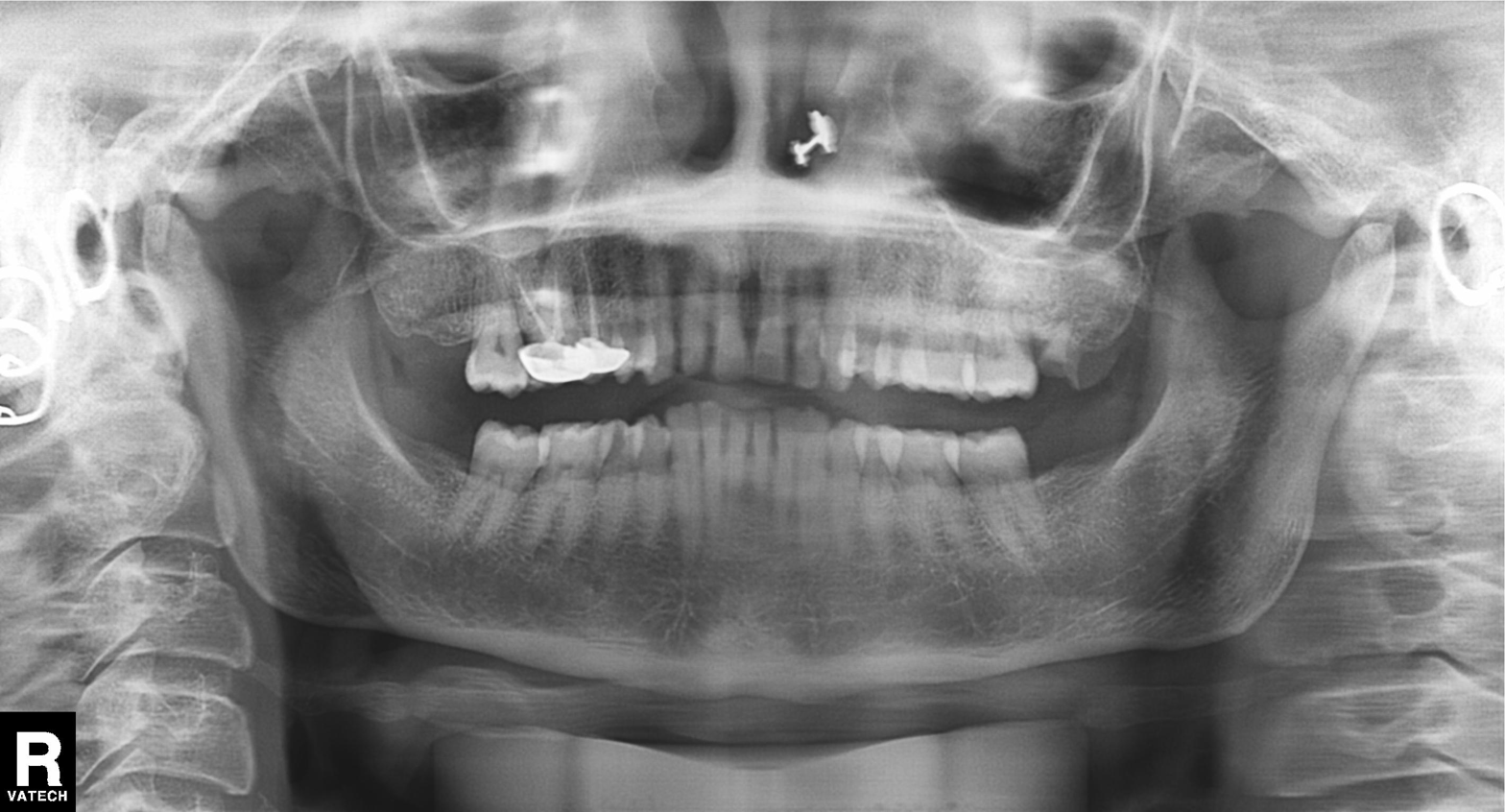
Panoramic dental radiograph (orthopantomogram). Finding: tooth impaction.